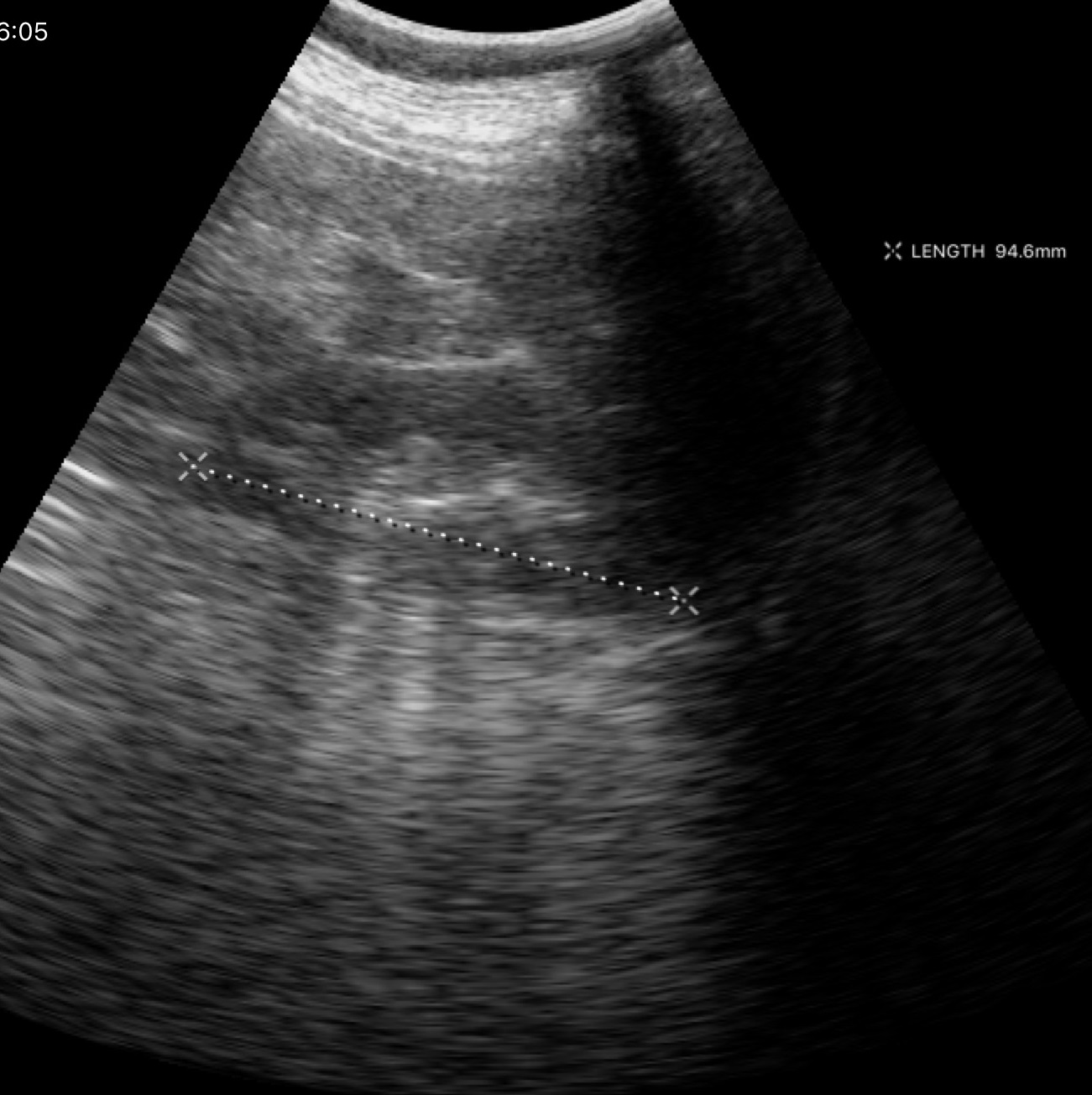
Clinical context: Genitourinary ultrasound.